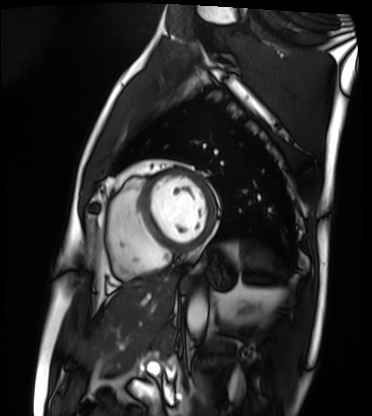
modality: cardiac MRI
subject group: patient